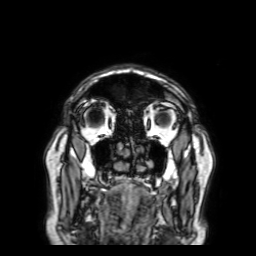
Q: What kind of scan is this?
A: 3 Tesla brain MRI.
Q: Series?
A: 3D T1-weighted with SENSE.
Study: ring-enhancing brain masses.